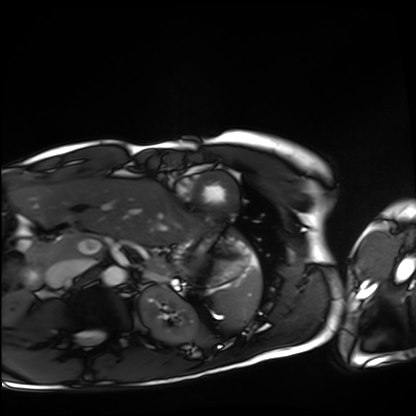
Cardiac MRI. Subject group: healthy volunteer.